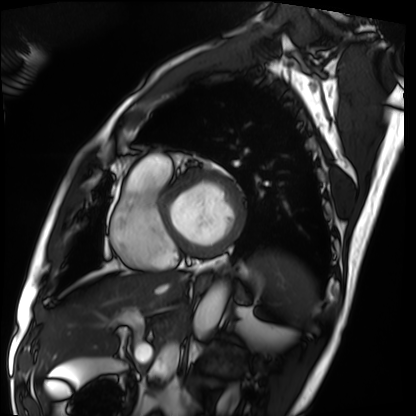
modality = cardiac MRI
subject group = patient